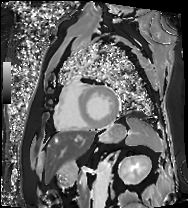
| field | value |
|---|---|
| modality | cardiac MRI |
| subject group | patient |